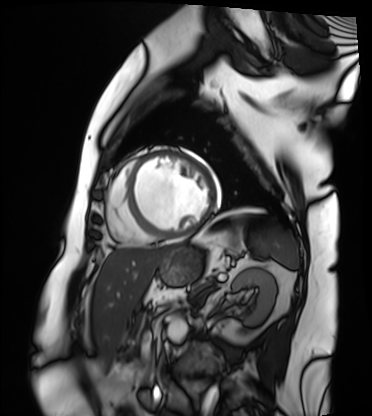
Case summary:
Cardiac MRI. Subject group: patient.